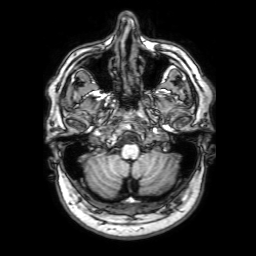
| field | value |
|---|---|
| modality | 3 Tesla brain MRI |
| series | 3D T1-weighted with SENSE |
| study | ring-enhancing brain masses |